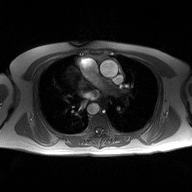
Case summary:
2D phase-contrast cine MRI of the ascending aorta, high-resolution GRAPPA acquisition.